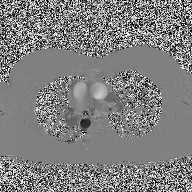
Summary: 2D phase-contrast cine MRI of the ascending aorta, high-resolution GRAPPA acquisition.